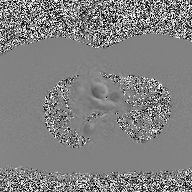
- modality: 2D phase-contrast cine MRI of the ascending aorta